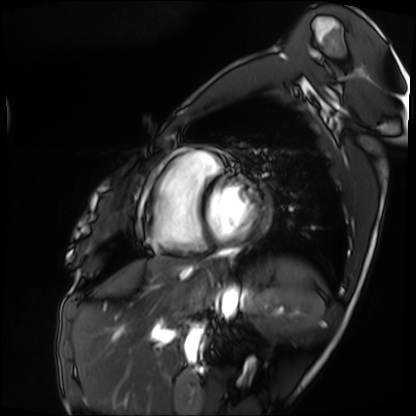
Q: What kind of scan is this?
A: Cardiac MRI.
Subject group: patient.